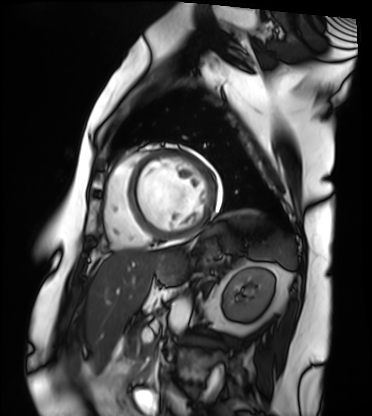
Cardiac MRI.
Subject group: patient.